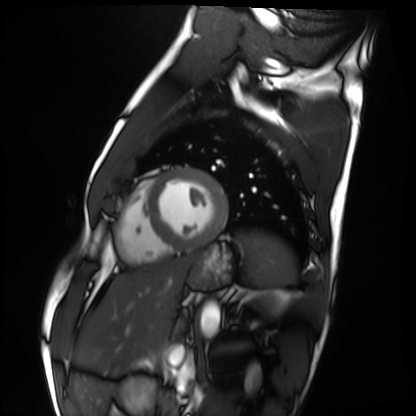
Cardiac MRI. Subject group: healthy volunteer.